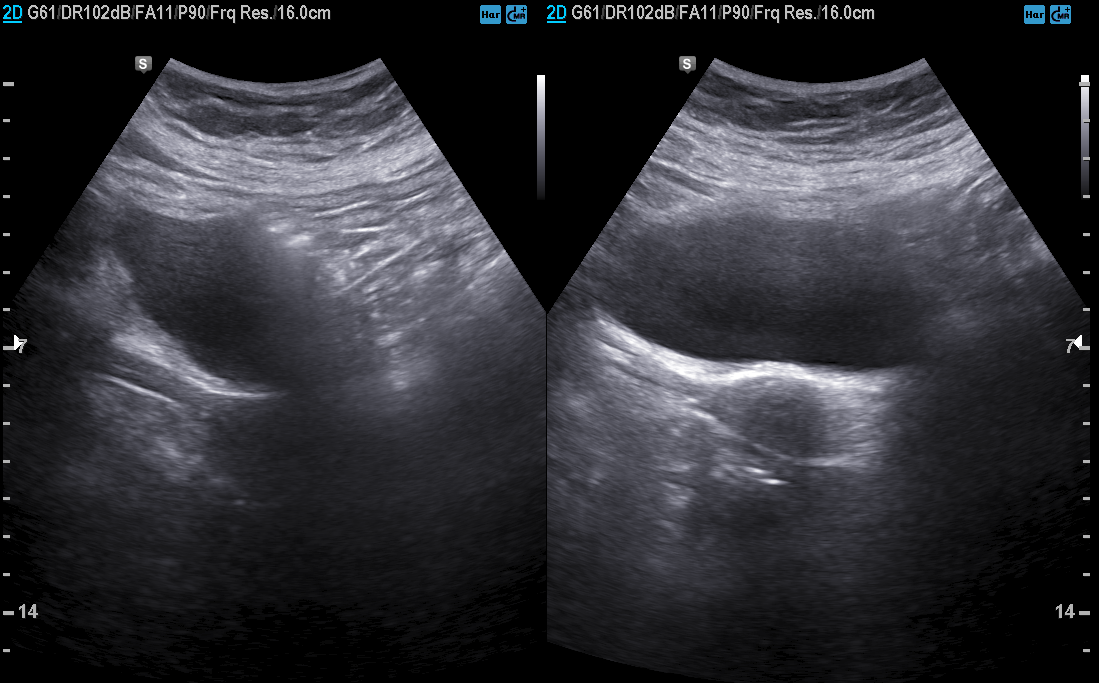
- modality: genitourinary ultrasound